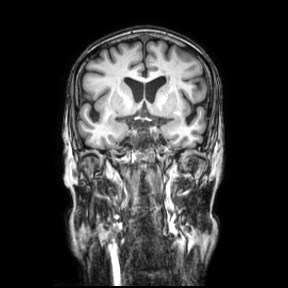
Q: What kind of scan is this?
A: 3 Tesla brain MRI.
Q: Series?
A: Coronal.
Study: ring-enhancing brain masses.